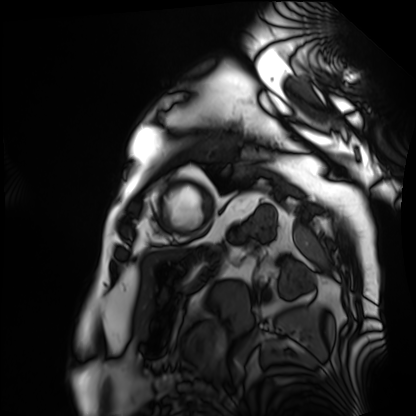
Summary:
Cardiac MRI. Subject group: patient.